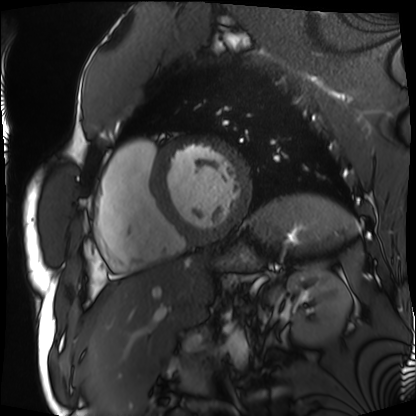
modality: cardiac MRI
subject group: patient